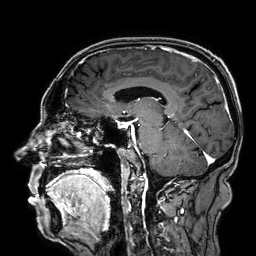
3 Tesla brain MRI.
Series: 3D T1-weighted.
Study: ring-enhancing brain masses.